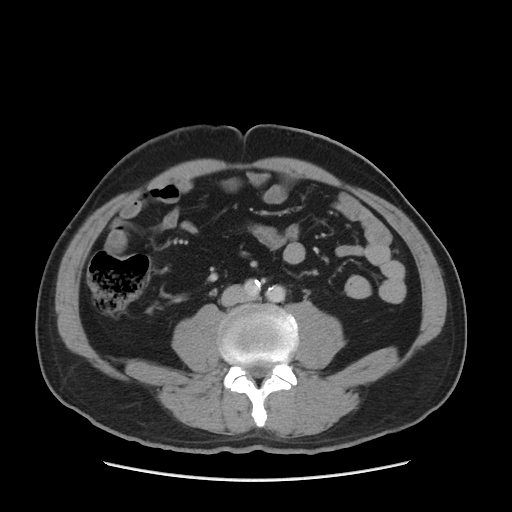
Multiphase abdominal CT, liver, delayed phase. Patient: male, age 51. History: cirrhosis, viral hepatitis.